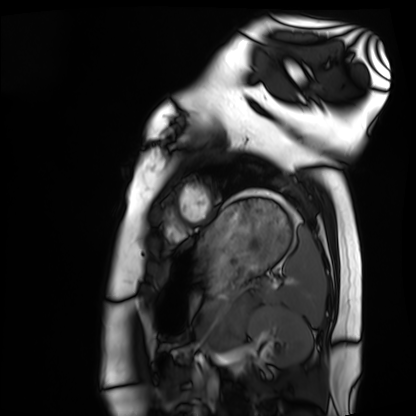
Clinical context:
Cardiac MRI. Subject group: healthy volunteer.